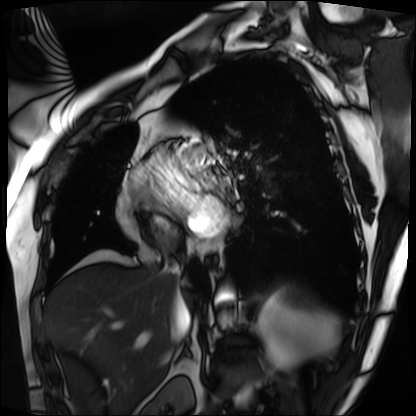
Summary: Cardiac MRI. Subject group: patient.